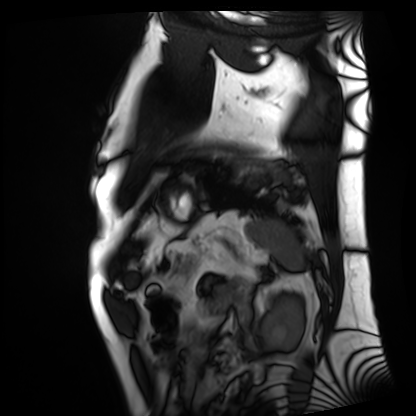
Summary: Cardiac MRI. Subject group: patient.